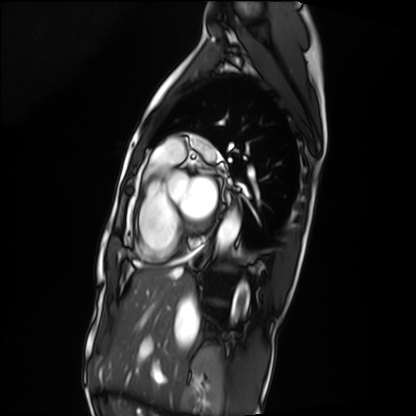
Case summary: Cardiac MRI. Subject group: patient.